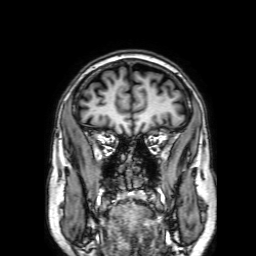
Summary:
3 Tesla brain MRI. Series: 3D T1-weighted with SENSE. Study: ring-enhancing brain masses.